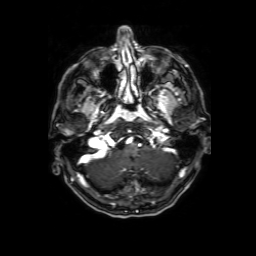
3 Tesla brain MRI. Study: ring-enhancing brain masses.